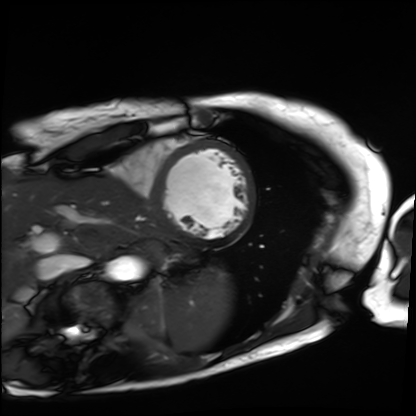
modality: cardiac MRI
cohort: patient